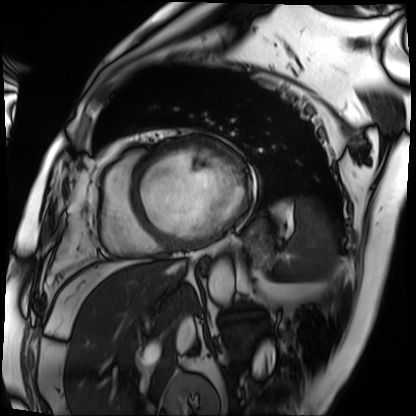
Cardiac MRI.
Subject group: patient.